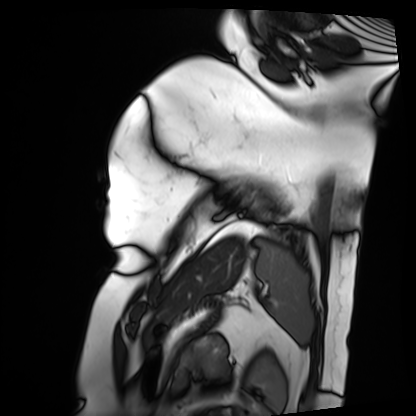
modality: cardiac MRI
subject group: patient